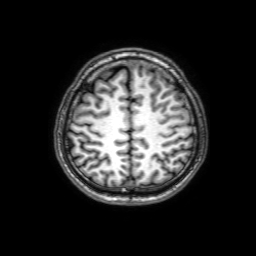
Case:
– modality — 3 Tesla brain MRI
– series — 3D T1-weighted with SENSE
– study — ring-enhancing brain masses